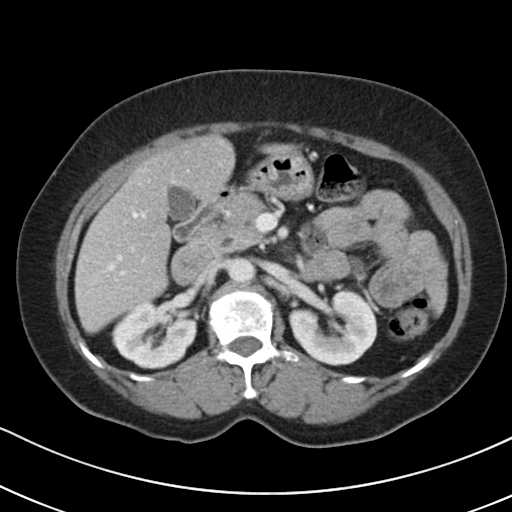
– modality · multiphase abdominal CT, liver, portal venous phase
– patient · female, age 70